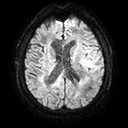
3 Tesla brain MRI.
Series: diffusion tensor imaging (medium iso).
Study: ring-enhancing brain masses.